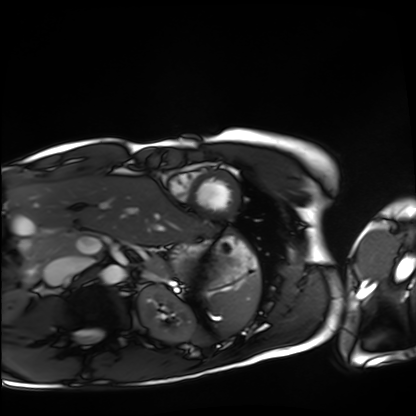
modality=cardiac MRI
subject group=healthy volunteer